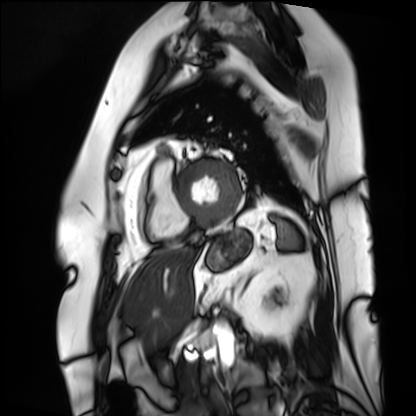
• modality — cardiac MRI
• subject group — patient